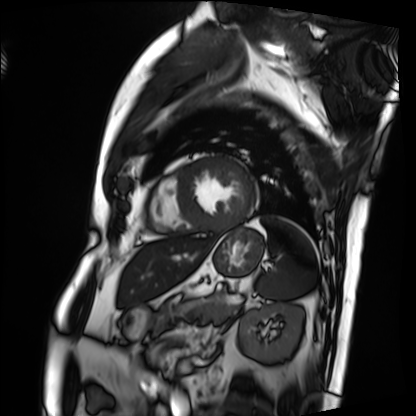
{
  "modality": "cardiac MRI",
  "cohort": "patient"
}